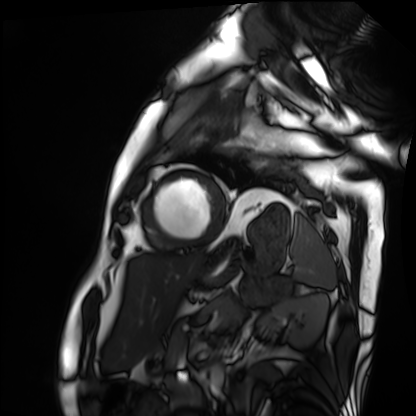
Cardiac MRI.
Subject group: patient.